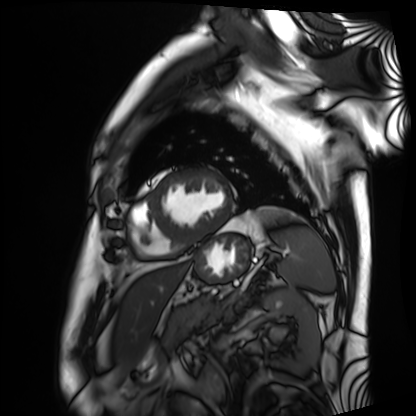
modality=cardiac MRI
subject group=patient